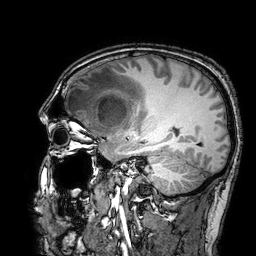
3 Tesla brain MRI. Study: ring-enhancing brain masses.